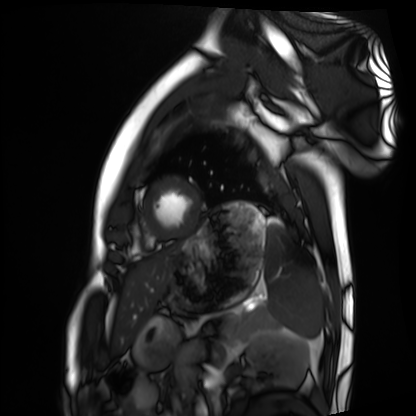
modality = cardiac MRI | subject group = healthy volunteer.